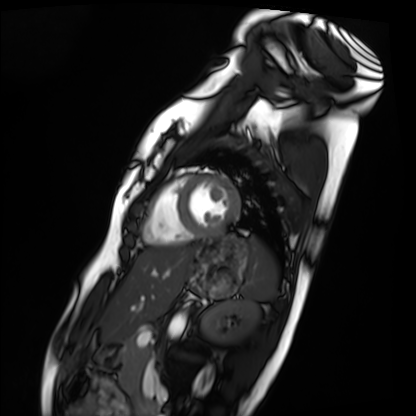
{
  "modality": "cardiac MRI",
  "cohort": "healthy volunteer"
}